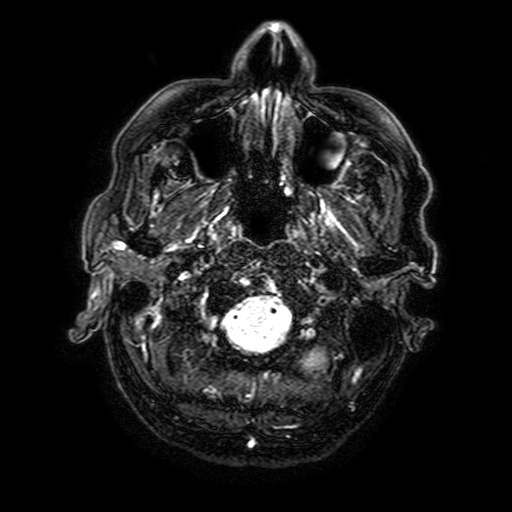
3 Tesla brain MRI.
Series: FLAIR with SPAIR, 3 mm.
Study: ring-enhancing brain masses.